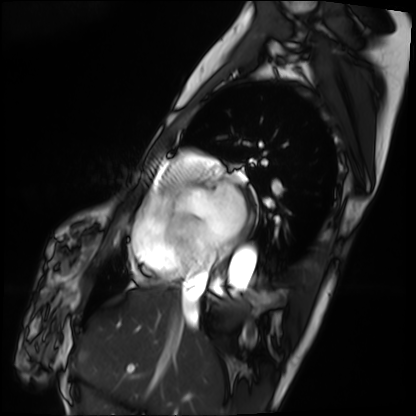
Cardiac MRI.
Subject group: patient.